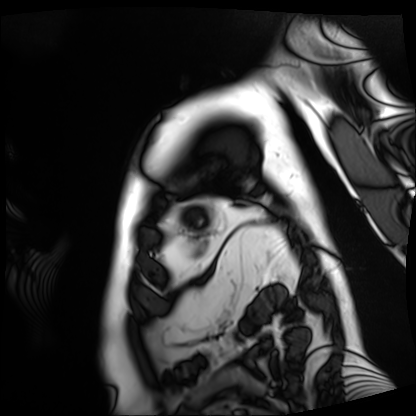
• modality — cardiac MRI
• subject group — patient